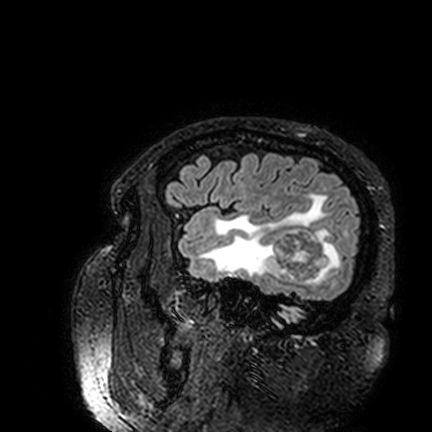
3 Tesla brain MRI.
Series: FLAIR VISTA.
Study: ring-enhancing brain masses.